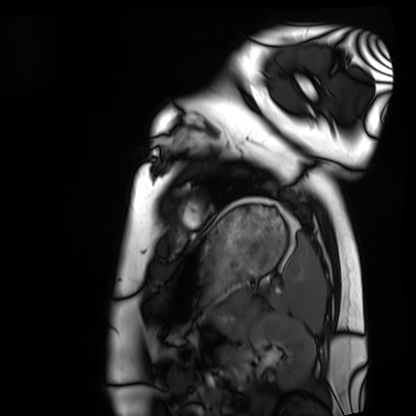
Clinical context:
Cardiac MRI. Subject group: healthy volunteer.